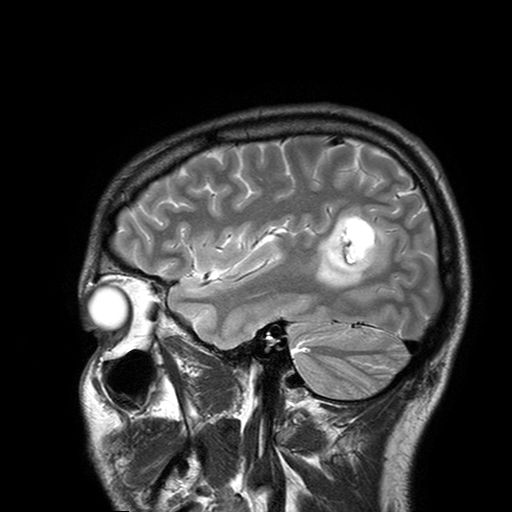
<record>
  <modality>
    <type>brain MRI</type>
    <field_strength>3T</field_strength>
  </modality>
  <series>T2-weighted turbo spin echo with SENSE</series>
  <study_topic>ring-enhancing brain masses</study_topic>
</record>